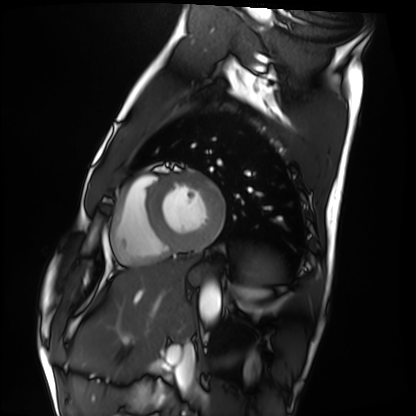
Q: What kind of scan is this?
A: Cardiac MRI.
Subject group: healthy volunteer.